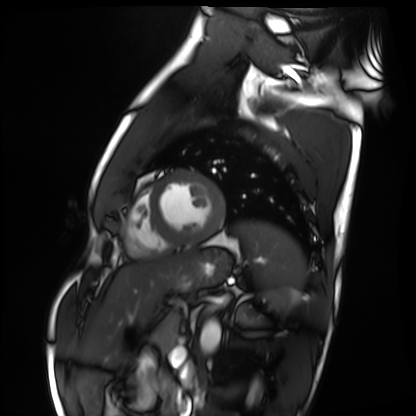
Cardiac MRI.
Subject group: healthy volunteer.